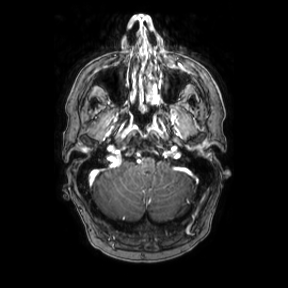
Q: What kind of scan is this?
A: 3 Tesla brain MRI.
Q: Series?
A: Axial.
Study: ring-enhancing brain masses.